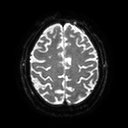
3 Tesla brain MRI. Series: diffusion tensor imaging (medium iso). Study: ring-enhancing brain masses.